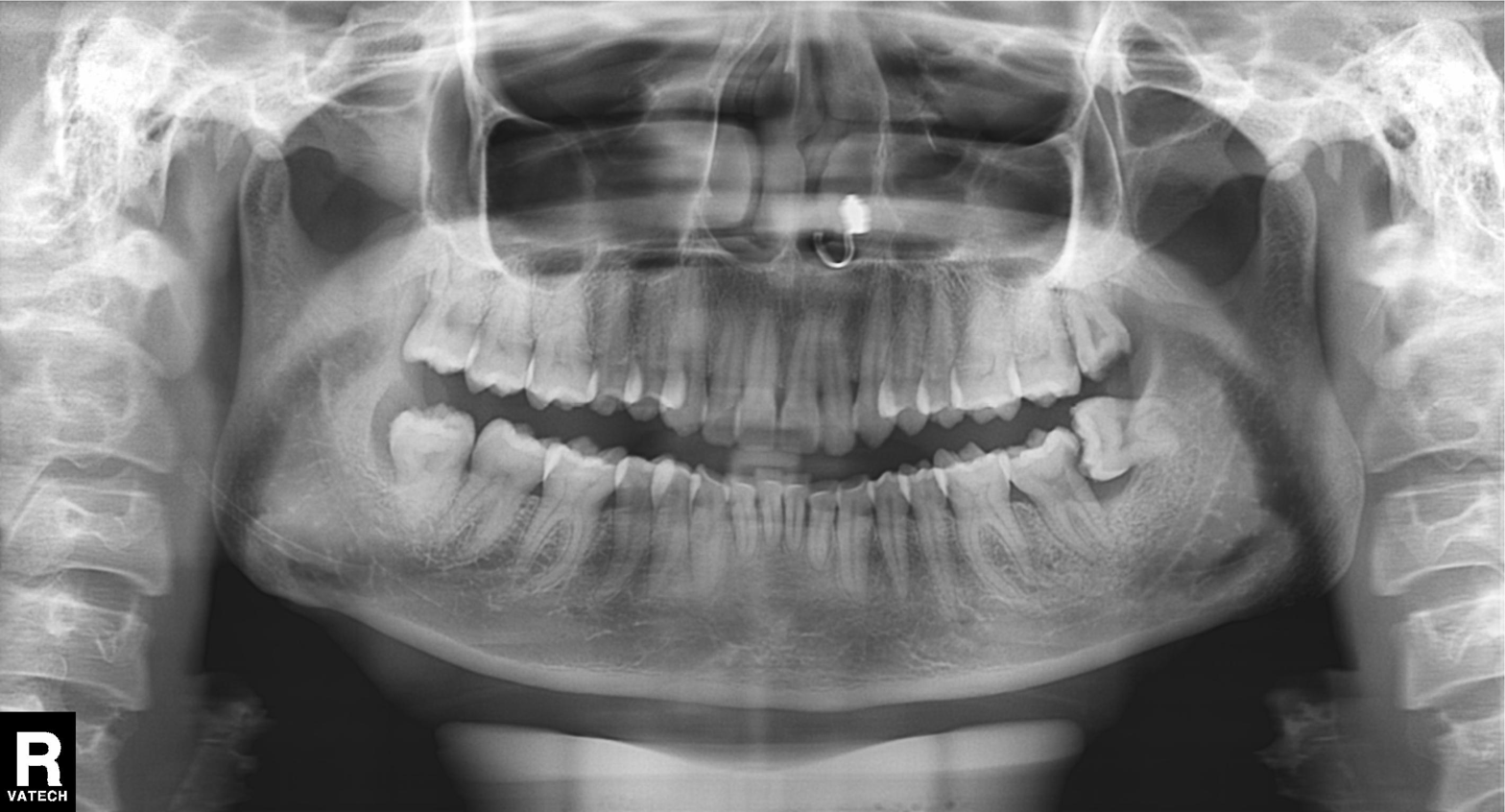
Panoramic dental radiograph (orthopantomogram). Finding: tooth impaction.